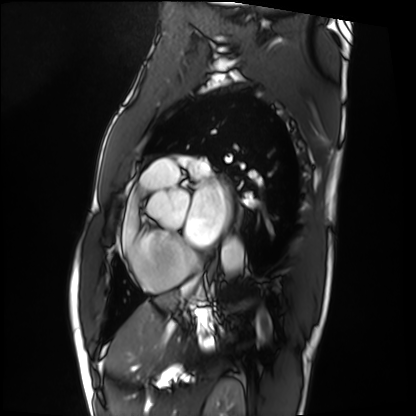
Case summary: Cardiac MRI. Subject group: patient.